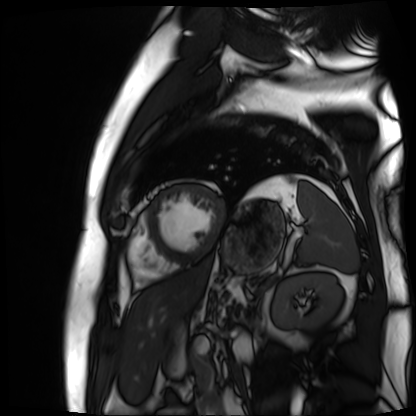
Summary:
Cardiac MR image of the myocardium. Subject cohort: cardiac patient.